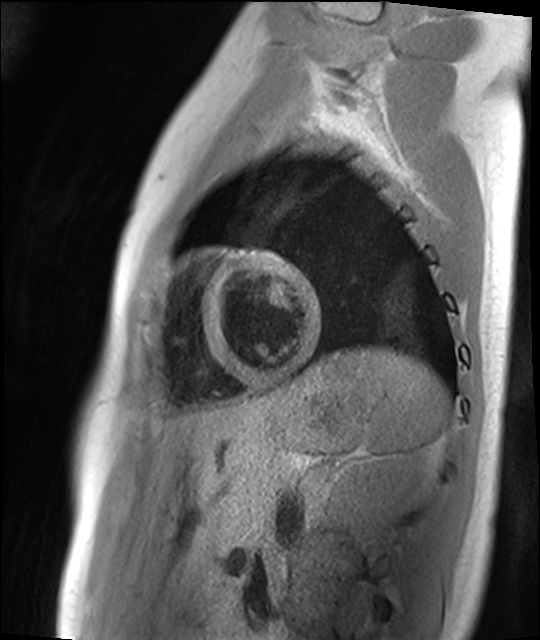
Cardiac MR image of the myocardium. Subject cohort: healthy volunteer.